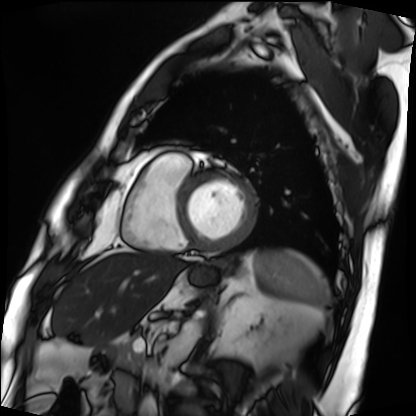
- modality — cardiac MRI
- subject group — patient